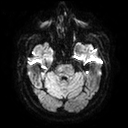
Case summary:
3 Tesla brain MRI. Series: diffusion tensor imaging (medium iso). Study: ring-enhancing brain masses.